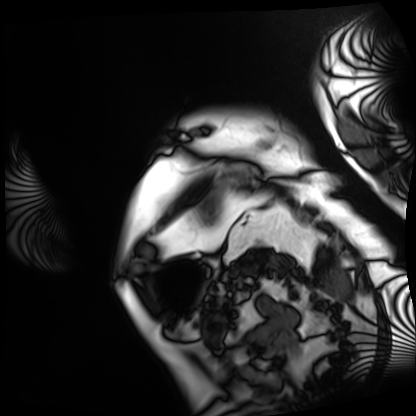
modality: cardiac MRI, subject group: patient.